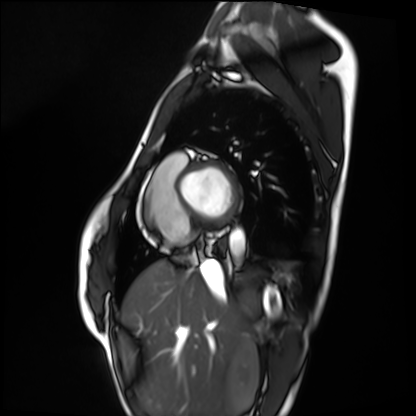
{"modality": "cardiac MRI", "cohort": "healthy volunteer"}